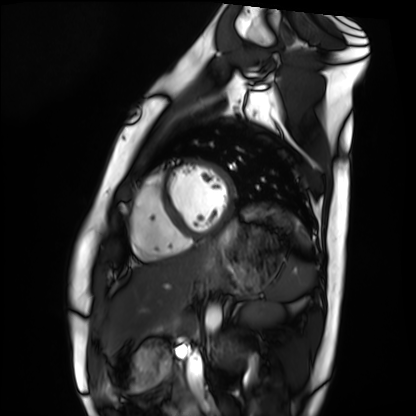
Cardiac MRI.
Subject group: healthy volunteer.